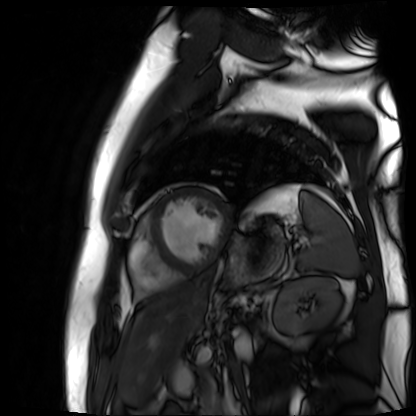
<case>
<modality>cardiac MR image of the myocardium</modality>
<cohort>cardiac patient</cohort>
</case>